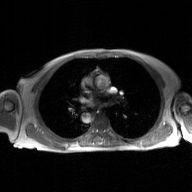
modality — 2D phase-contrast cine MRI of the ascending aorta, GAN super-resolution reconstruction.